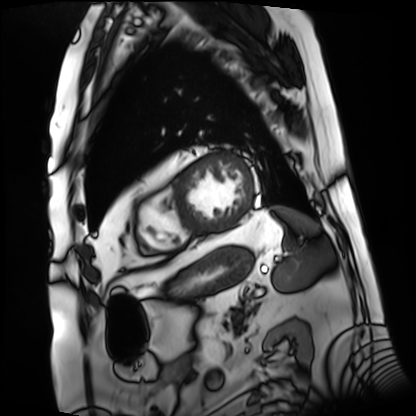
Cardiac MRI. Subject group: patient.